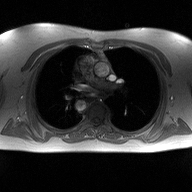
modality — 2D phase-contrast cine MRI of the ascending aorta